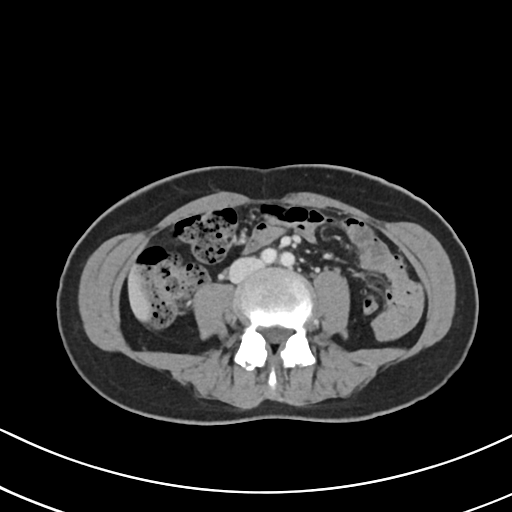
Q: What kind of scan is this?
A: Multiphase abdominal CT, liver, portal venous phase.
Q: Patient?
A: Female, age 52.
Q: History?
A: Prior chemotherapy.